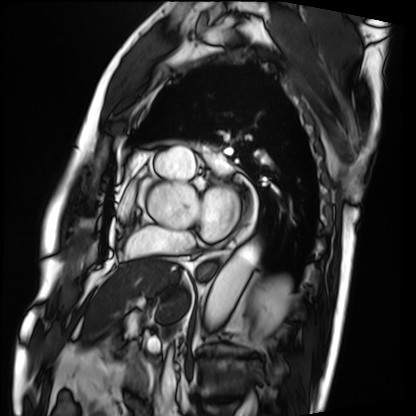
– modality: cardiac MRI
– subject group: patient